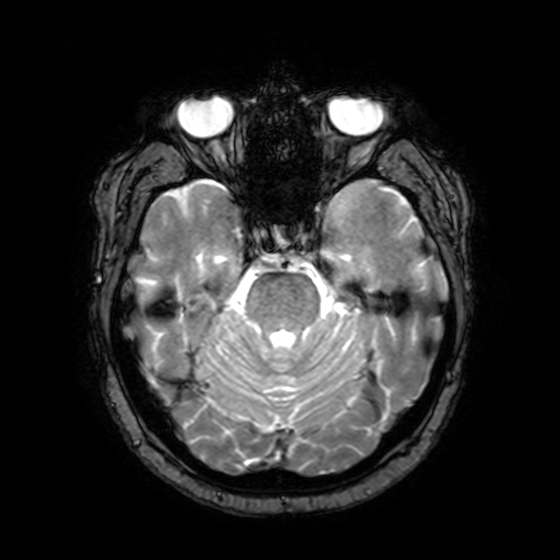
3 Tesla brain MRI. Series: T2-weighted fast field echo with SENSE. Study: ring-enhancing brain masses.